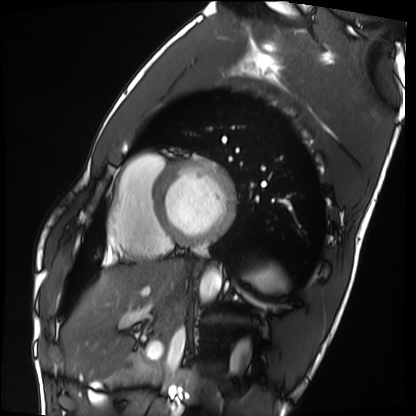
Q: What kind of scan is this?
A: Cardiac MRI.
Subject group: healthy volunteer.